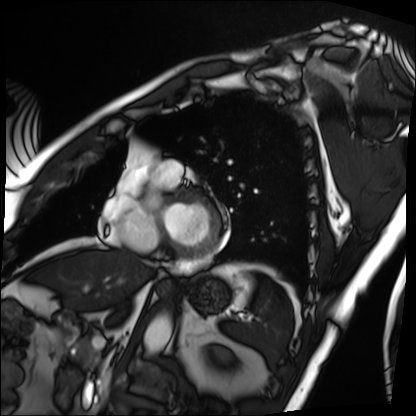
Clinical context: Cardiac MRI. Subject group: patient.